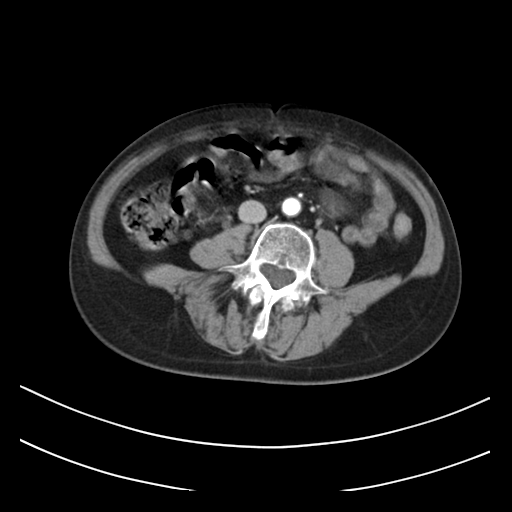
Multiphase abdominal CT, liver, arterial phase. Patient: female, age 61.